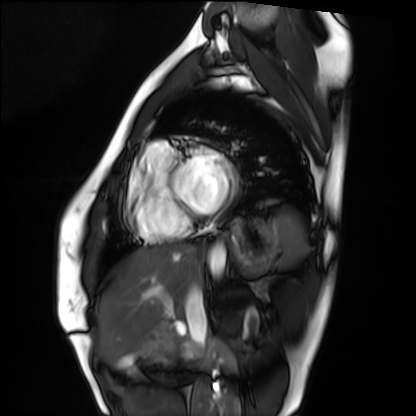
Clinical context:
Cardiac MRI. Subject group: healthy volunteer.